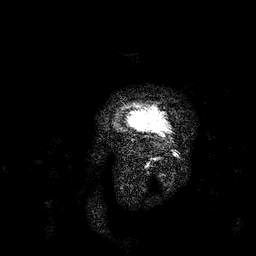
– modality · 3 Tesla brain MRI
– series · 3D T1-weighted
– study · ring-enhancing brain masses